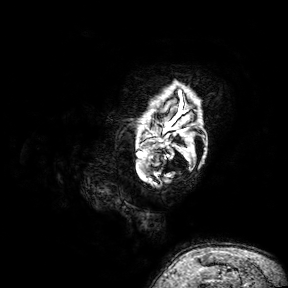
<case>
<modality>
  <type>brain MRI</type>
  <field_strength>3T</field_strength>
</modality>
<series>3D T1-weighted turbo field echo with SENSE</series>
<study_topic>ring-enhancing brain masses</study_topic>
</case>